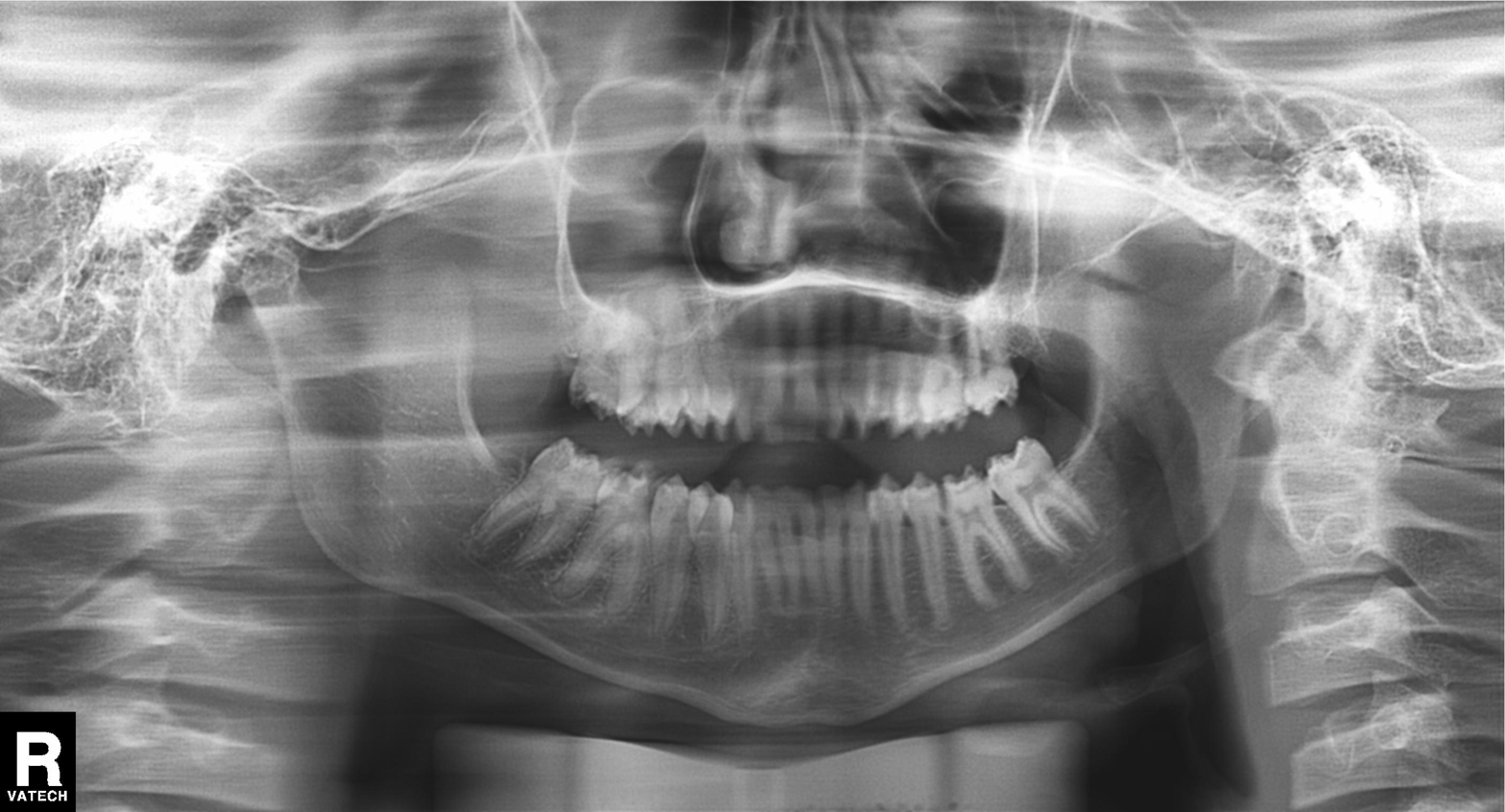
  modality: panoramic dental radiograph (orthopantomogram)
  finding: alveolar bone loss